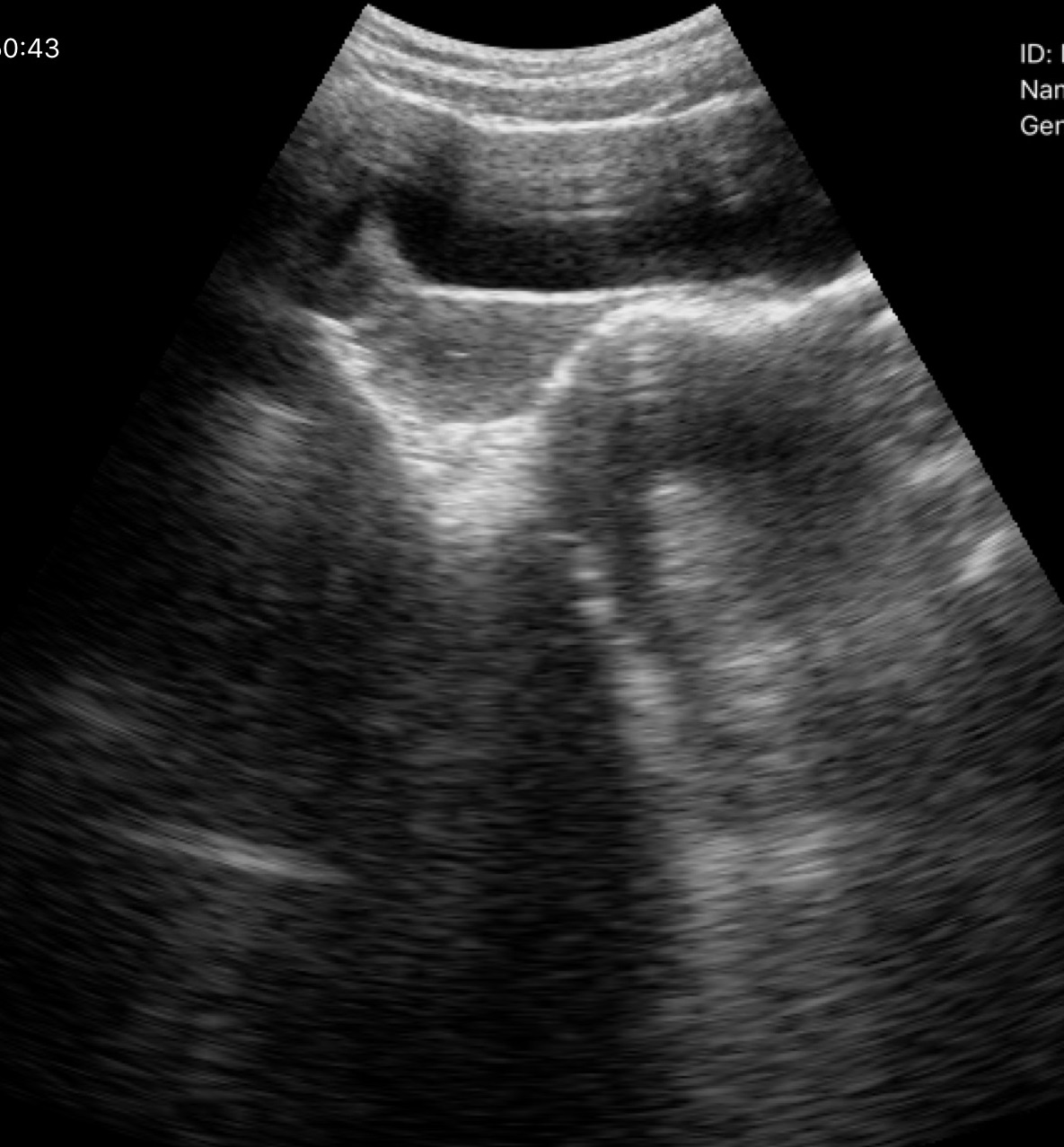
Genitourinary ultrasound.